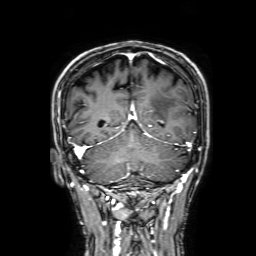
Case summary:
3 Tesla brain MRI. Series: 3D T1-weighted with SENSE. Study: ring-enhancing brain masses.